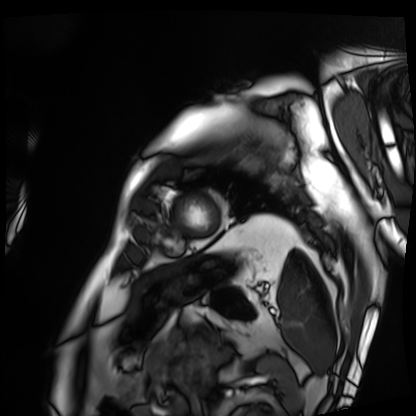
* modality · cardiac MRI
* subject group · patient